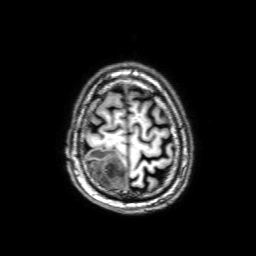
3 Tesla brain MRI. Series: 3D T1-weighted with SENSE. Study: ring-enhancing brain masses.